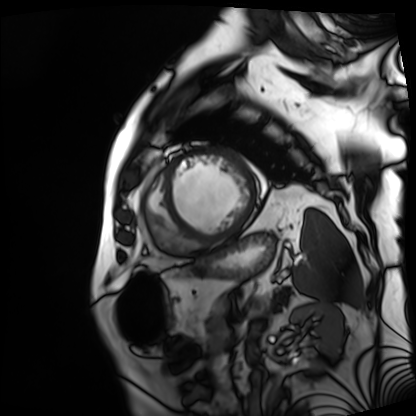
Cardiac MRI. Subject group: patient.